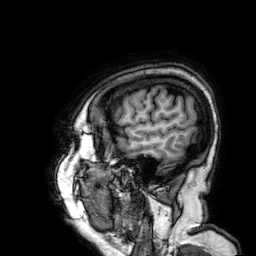
3 Tesla brain MRI.
Series: 3D T1-weighted.
Study: ring-enhancing brain masses.